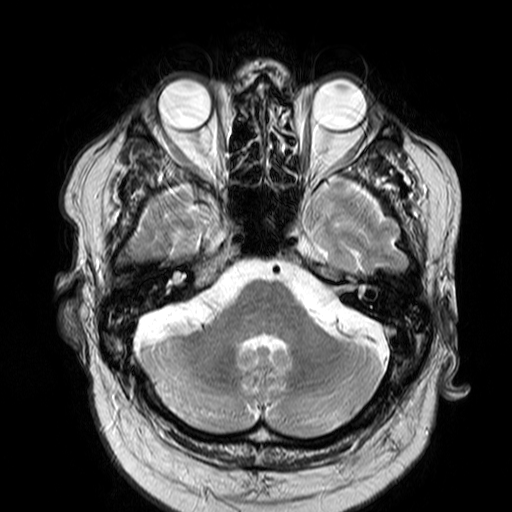
{
  "modality": {
    "type": "brain MRI",
    "field_strength": "3T"
  },
  "series": "T2-weighted turbo spin echo",
  "study_topic": "ring-enhancing brain masses"
}